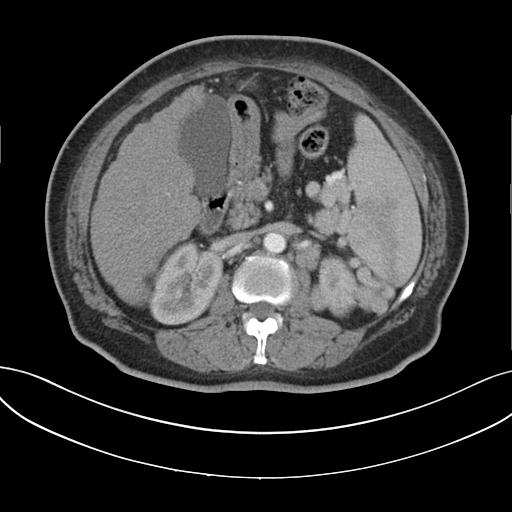
• modality: multiphase abdominal CT, liver, arterial phase
• patient: female, age 62